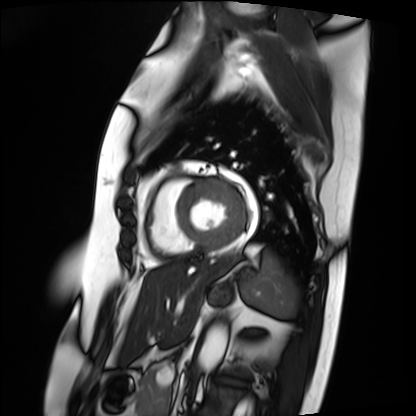
modality = cardiac MRI; subject group = patient.